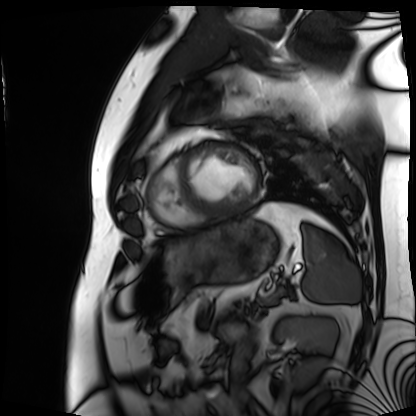
Cardiac MRI. Subject group: patient.